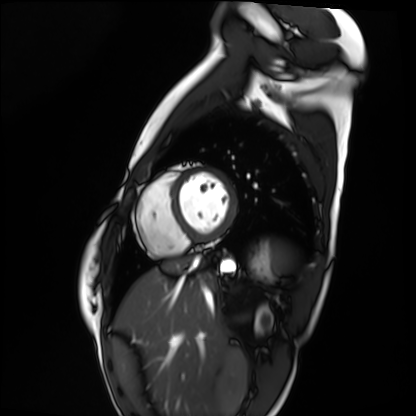
Q: What kind of scan is this?
A: Cardiac MRI.
Subject group: healthy volunteer.